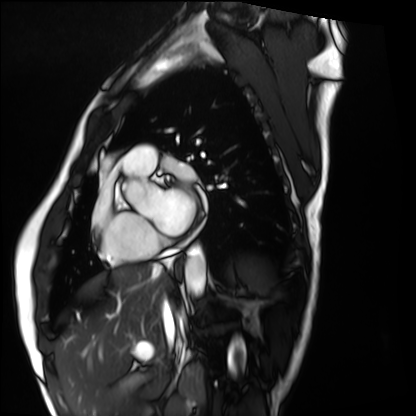
modality — cardiac MRI | subject group — healthy volunteer.